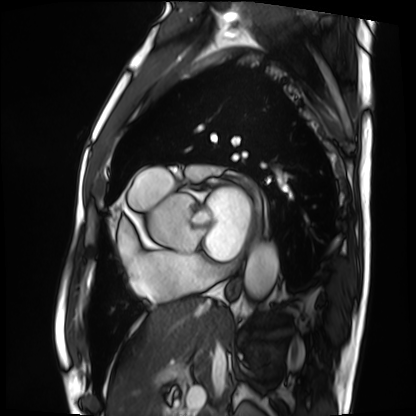
Cardiac MRI.
Subject group: patient.